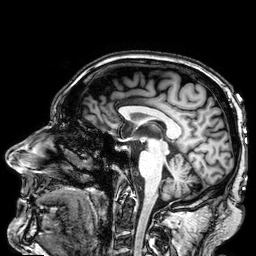
modality: 3 Tesla brain MRI
series: 3D T1-weighted
study: ring-enhancing brain masses